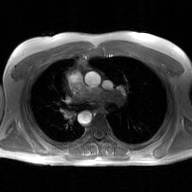
2D phase-contrast cine MRI of the ascending aorta, GAN super-resolution reconstruction.